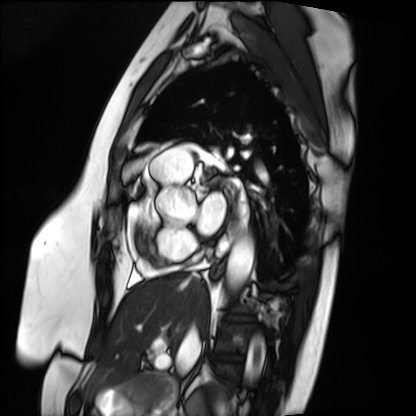
Cardiac MRI.
Subject group: patient.